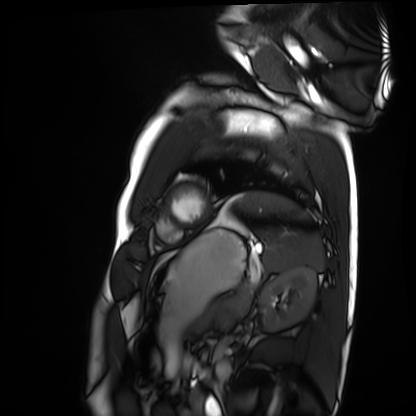
| field | value |
|---|---|
| modality | cardiac MRI |
| subject group | healthy volunteer |